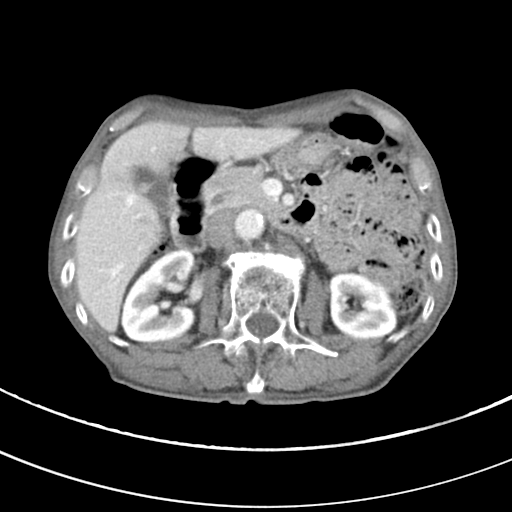
Multiphase abdominal CT, liver, portal venous phase. Patient: male, age 68.